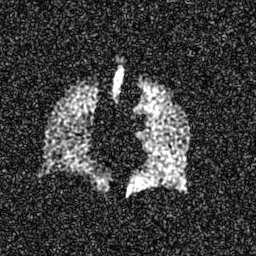
Summary:
Hyperpolarized 129Xe ventilation MRI of the lungs. SNR level 7 of 8 (the deposit holds this scan as its native image and as seven SNR-degraded versions).